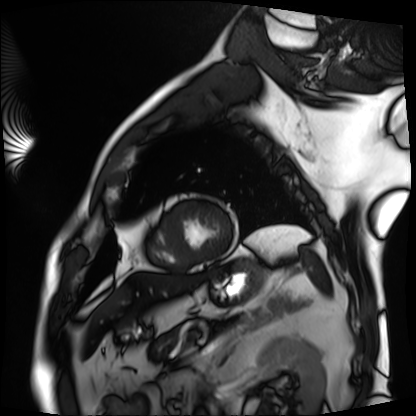
modality = cardiac MRI, subject group = patient.